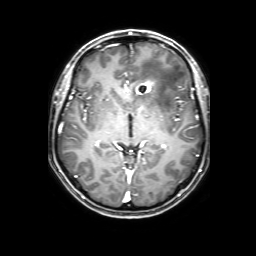
modality: 3 Tesla brain MRI; series: 3D T1-weighted with SENSE; study: ring-enhancing brain masses.